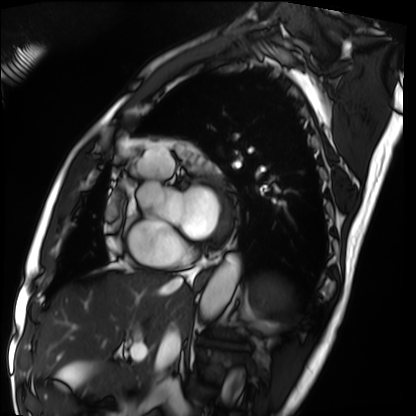
Cardiac MRI. Subject group: patient.